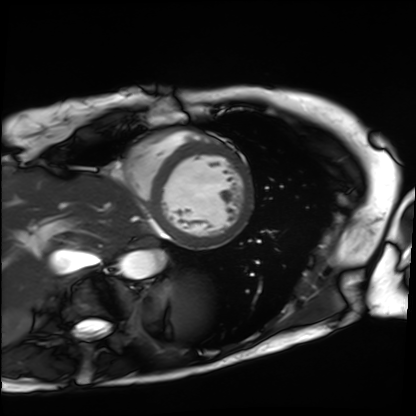
Case summary: Cardiac MRI. Subject group: patient.